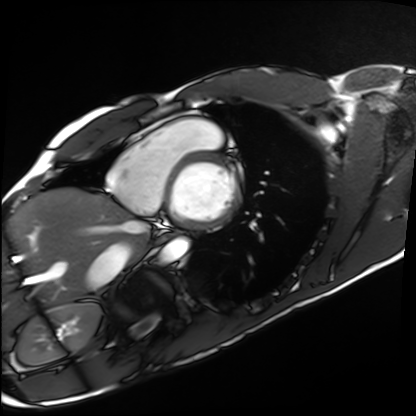
Cardiac MRI.
Subject group: healthy volunteer.